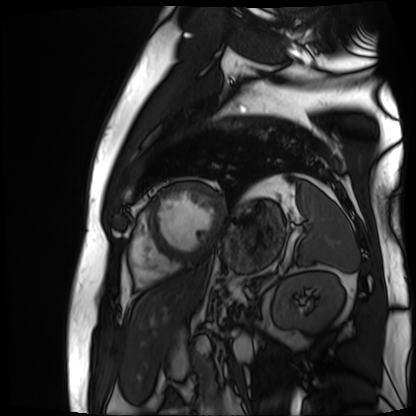
Cardiac MR image of the myocardium. Subject cohort: cardiac patient.